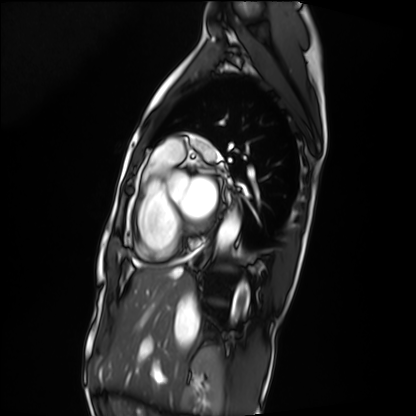
Summary:
Cardiac MRI. Subject group: patient.